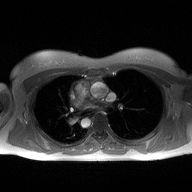
modality: 2D phase-contrast cine MRI of the ascending aorta